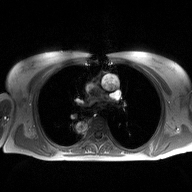
Q: What kind of scan is this?
A: 2D phase-contrast cine MRI of the ascending aorta.